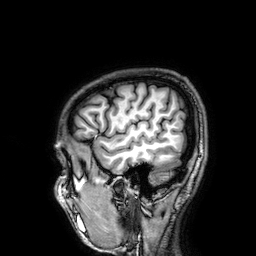
Summary: 3 Tesla brain MRI. Series: 3D T1-weighted. Study: ring-enhancing brain masses.